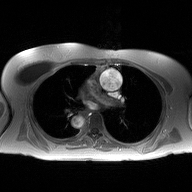
2D phase-contrast cine MRI of the ascending aorta, high-resolution GRAPPA acquisition.